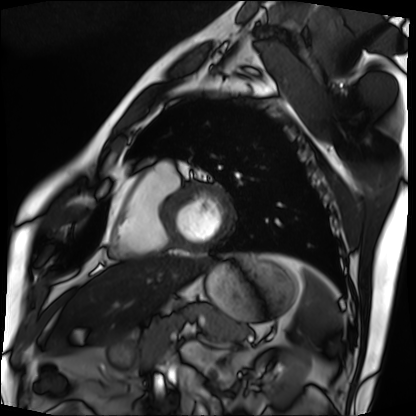
Cardiac MRI. Subject group: patient.